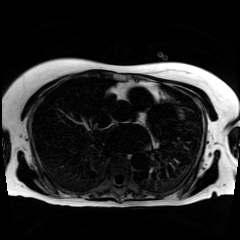
Q: What kind of scan is this?
A: Chemical-shift-encoded cardiac MRI.